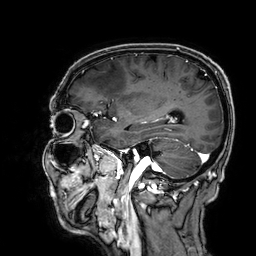
Summary:
3 Tesla brain MRI. Series: 3D T1-weighted. Study: ring-enhancing brain masses.